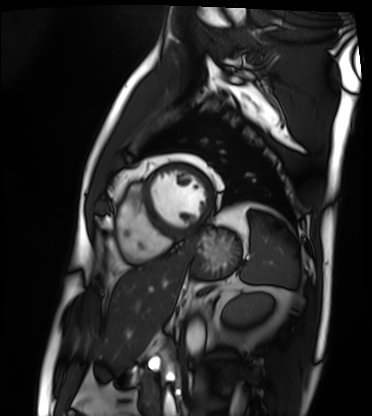
| field | value |
|---|---|
| modality | cardiac MRI |
| subject group | patient |